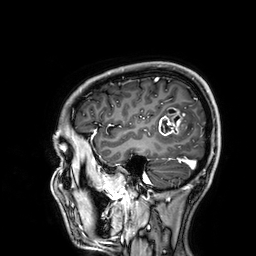
3 Tesla brain MRI. Series: 3D T1-weighted. Study: ring-enhancing brain masses.